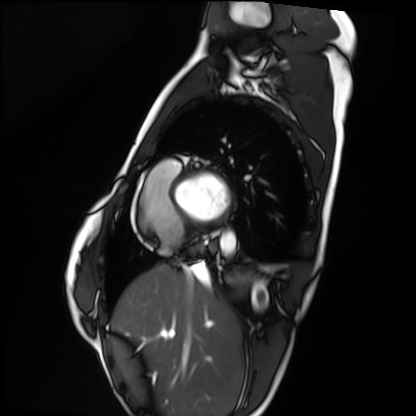
{
  "modality": "cardiac MRI",
  "cohort": "healthy volunteer"
}